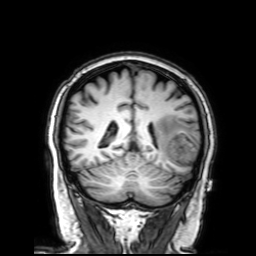
* modality: 3 Tesla brain MRI
* series: 3D T1-weighted with SENSE
* study: ring-enhancing brain masses